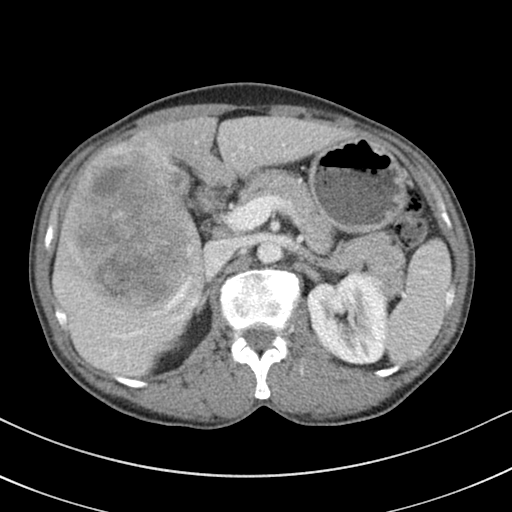
• modality: multiphase abdominal CT, liver, portal venous phase
• patient: male, age 51
• history: viral hepatitis